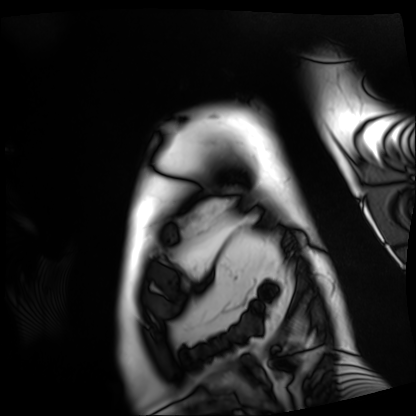
modality — cardiac MRI | subject group — patient.